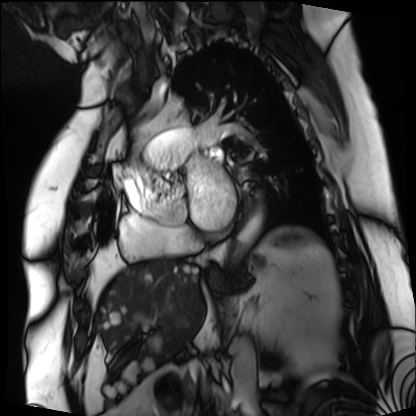
Summary:
Cardiac MRI. Subject group: patient.